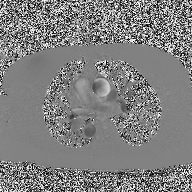
{"modality": {"type": "2D phase-contrast cine MRI", "region": "ascending aorta", "reconstruction": "high-resolution GRAPPA acquisition"}}